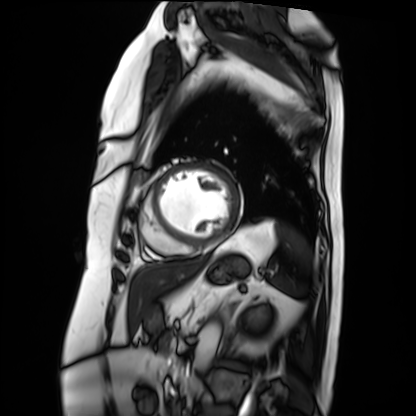
| field | value |
|---|---|
| modality | cardiac MRI |
| subject group | patient |